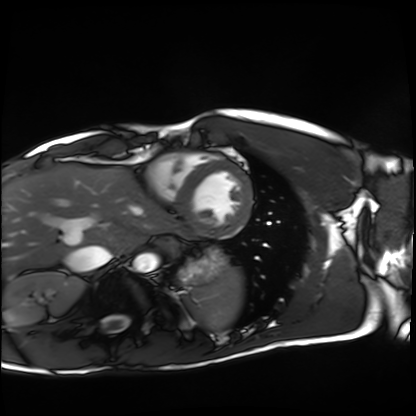
Q: What kind of scan is this?
A: Cardiac MRI.
Subject group: healthy volunteer.